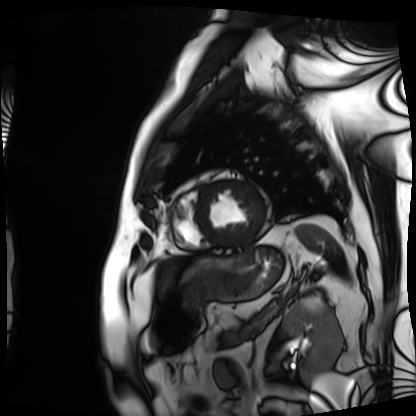
Case:
- modality: cardiac MRI
- subject group: patient